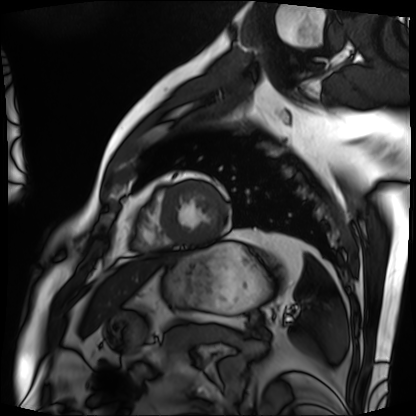
Cardiac MRI. Subject group: patient.